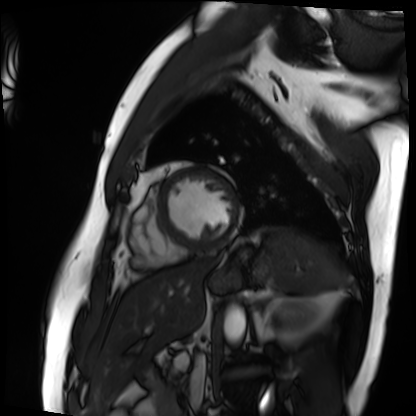
modality=cardiac MRI; subject group=patient.